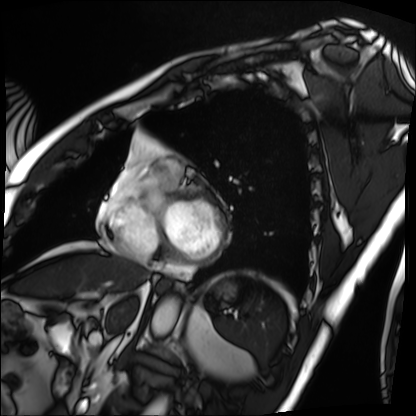
Cardiac MRI. Subject group: patient.